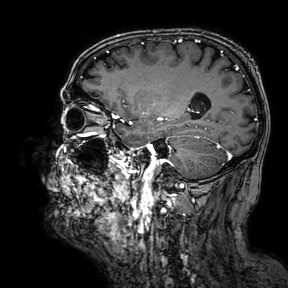
{"modality": {"type": "brain MRI", "field_strength": "3T"}, "series": "3D T1-weighted turbo field echo with SENSE", "study_topic": "ring-enhancing brain masses"}